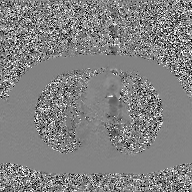
Q: What kind of scan is this?
A: 2D phase-contrast cine MRI of the ascending aorta, GAN super-resolution reconstruction.